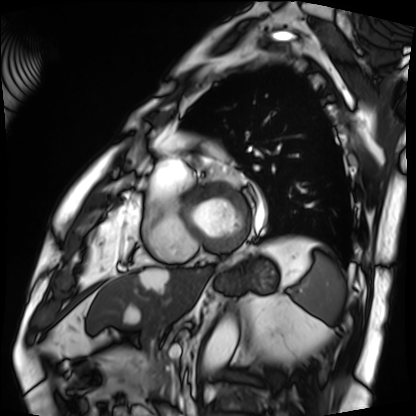
Case:
– modality · cardiac MRI
– subject group · patient